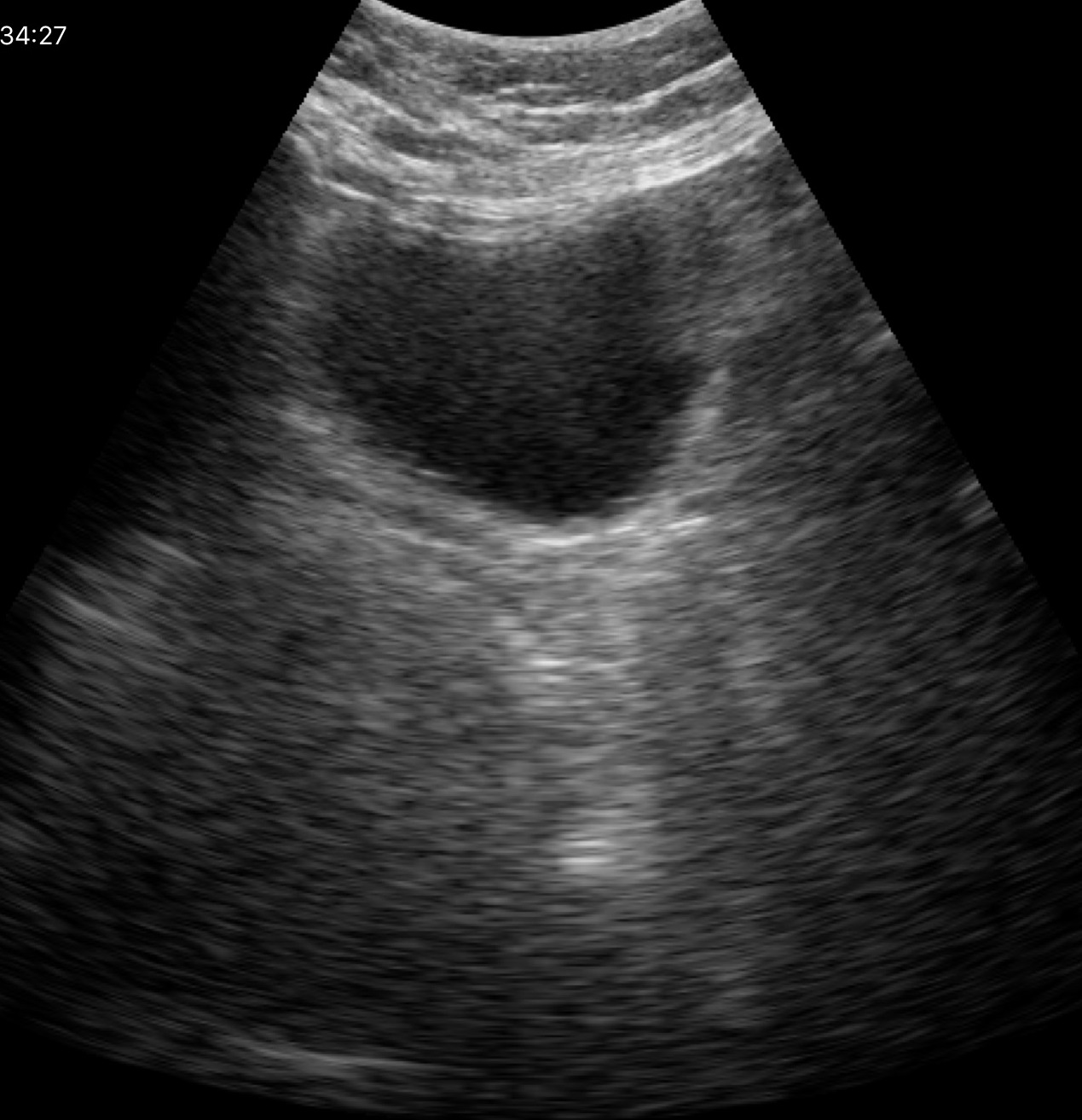
{
  "modality": {
    "type": "genitourinary ultrasound"
  }
}